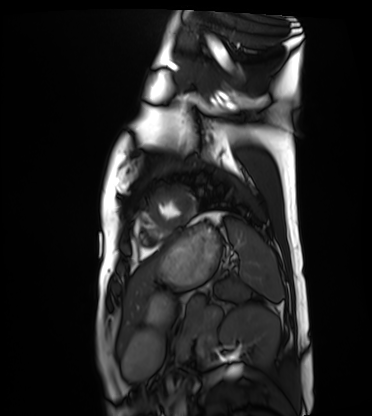
Cardiac MRI. Subject group: healthy volunteer.